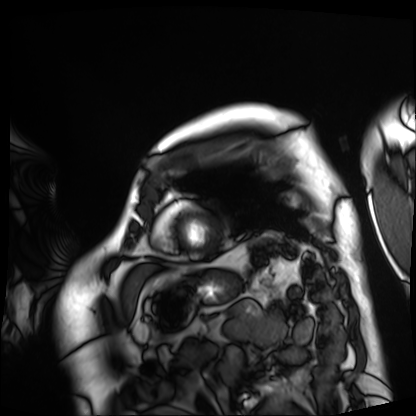
Cardiac MRI. Subject group: patient.